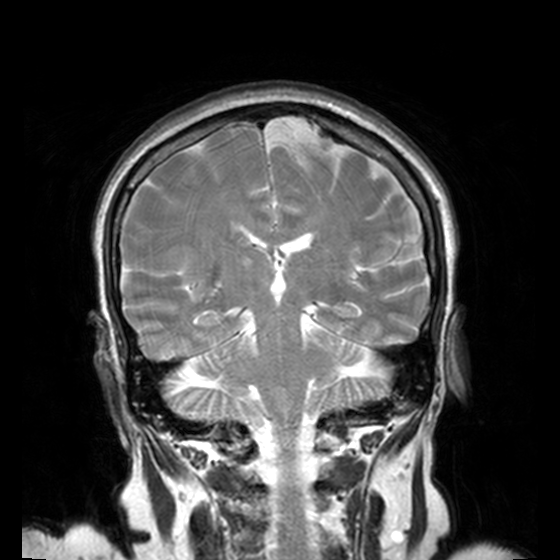
Q: What kind of scan is this?
A: 3 Tesla brain MRI.
Q: Series?
A: T2-weighted turbo spin echo, 3 mm.
Study: ring-enhancing brain masses.